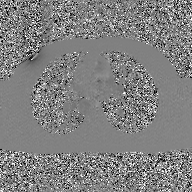
2D phase-contrast cine MRI of the ascending aorta, GAN super-resolution reconstruction.